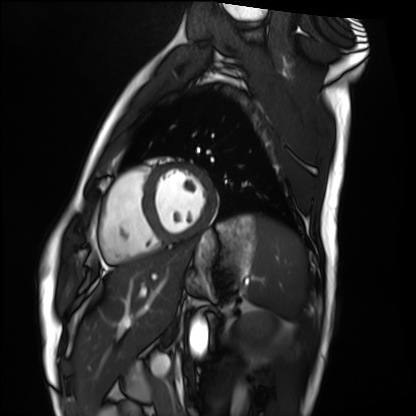
Cardiac MRI.
Subject group: healthy volunteer.